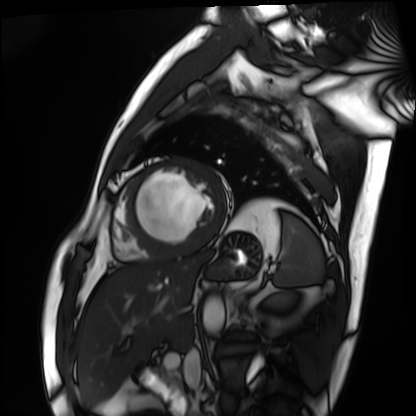
• modality: cardiac MRI
• subject group: patient